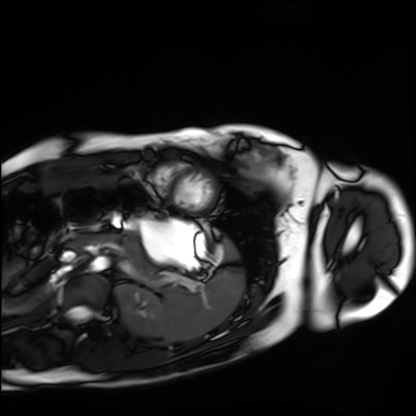
Case summary:
Cardiac MRI. Subject group: healthy volunteer.